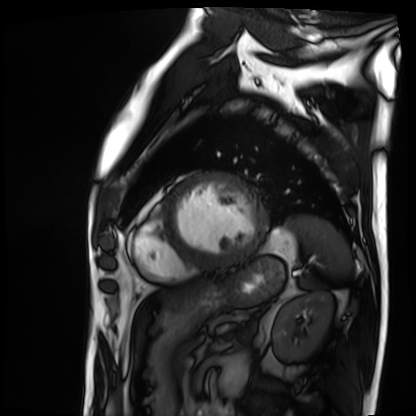
Cardiac MRI. Subject group: patient.